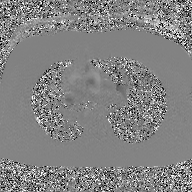
modality=2D phase-contrast cine MRI of the ascending aorta, GAN super-resolution reconstruction.